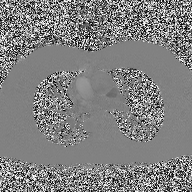
modality — 2D phase-contrast cine MRI of the ascending aorta.